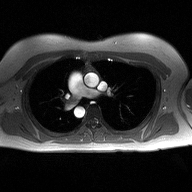
modality: 2D phase-contrast cine MRI of the ascending aorta.